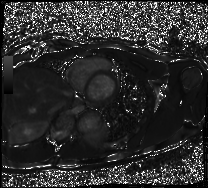
Summary: Cardiac MRI. Subject group: healthy volunteer.